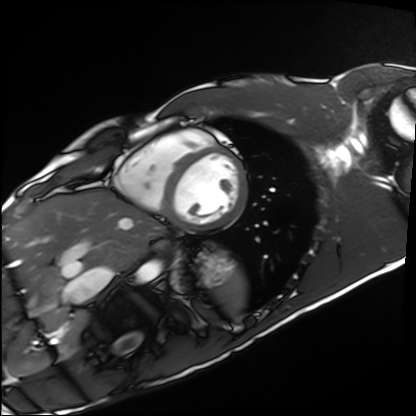
Cardiac MRI. Subject group: healthy volunteer.